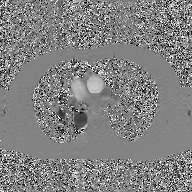
| field | value |
|---|---|
| modality | 2D phase-contrast cine MRI of the ascending aorta, GAN super-resolution reconstruction |